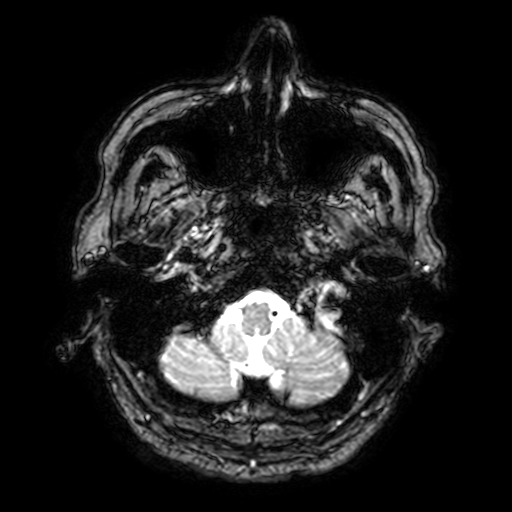
3 Tesla brain MRI. Series: T2-weighted fast field echo with SENSE. Study: ring-enhancing brain masses.